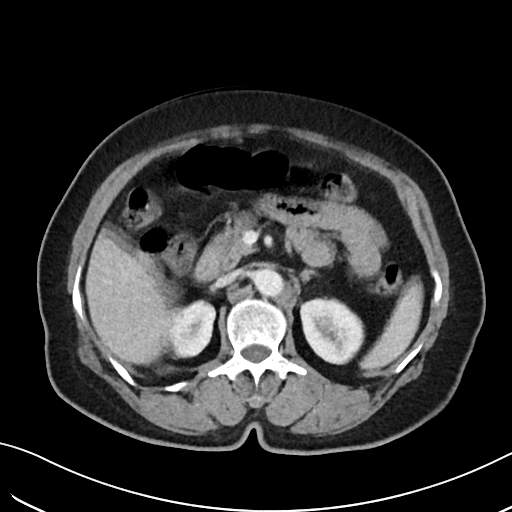
Multiphase abdominal CT, liver, portal venous phase.
Patient: female, age 62.